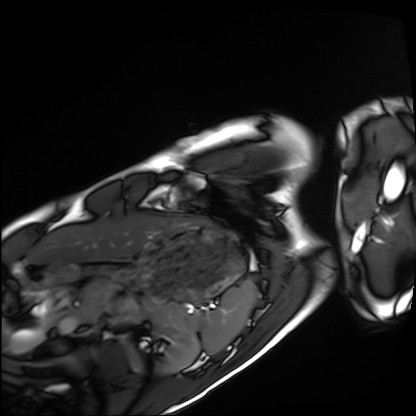
Cardiac MRI. Subject group: healthy volunteer.